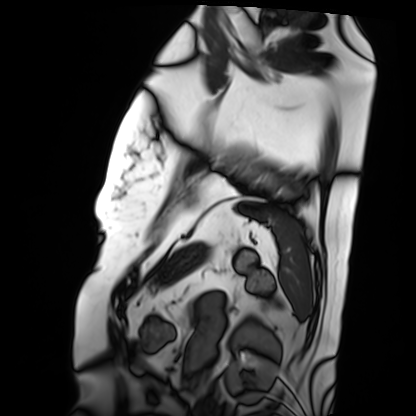
Q: What kind of scan is this?
A: Cardiac MRI.
Subject group: patient.